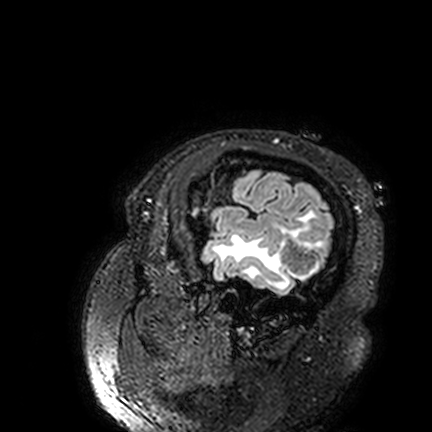
Case summary: 3 Tesla brain MRI. Series: FLAIR VISTA. Study: ring-enhancing brain masses.